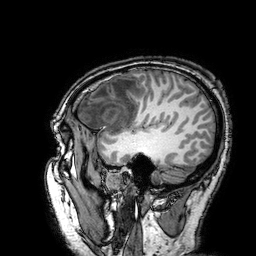
3 Tesla brain MRI. Series: 3D T1-weighted turbo field echo with SENSE. Study: ring-enhancing brain masses.